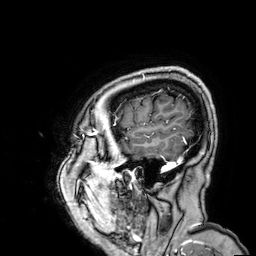
<scan>
  <modality>
    <type>brain MRI</type>
    <field_strength>3T</field_strength>
  </modality>
  <series>3D T1-weighted</series>
  <study_topic>ring-enhancing brain masses</study_topic>
</scan>